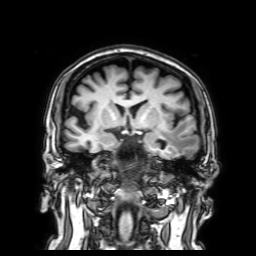
modality:
  type: brain MRI
  field_strength: 3T
series: 3D T1-weighted with SENSE
study_topic: ring-enhancing brain masses